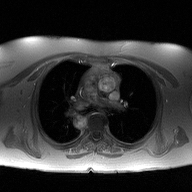
modality — 2D phase-contrast cine MRI of the ascending aorta.